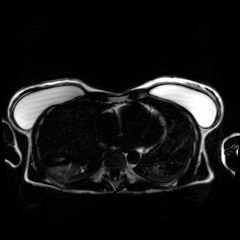
modality: chemical-shift-encoded cardiac MRI.